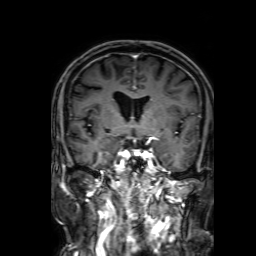
{"modality": {"type": "brain MRI", "field_strength": "3T"}, "series": "3D T1-weighted with SENSE", "study_topic": "ring-enhancing brain masses"}